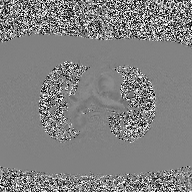
Q: What kind of scan is this?
A: 2D phase-contrast cine MRI of the ascending aorta.